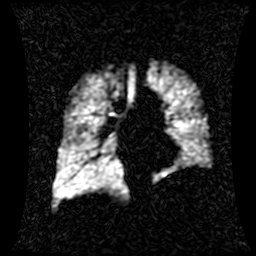
Case:
– modality: hyperpolarized 129Xe ventilation MRI of the lungs